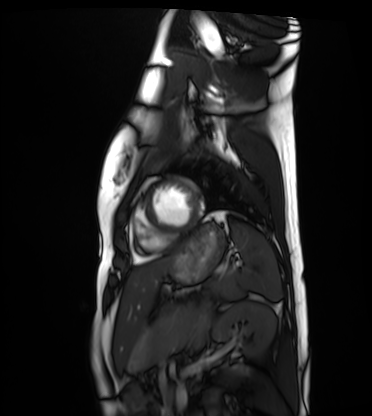
Summary: Cardiac MRI. Subject group: healthy volunteer.